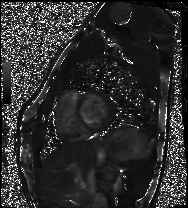
Cardiac MRI. Subject group: healthy volunteer.